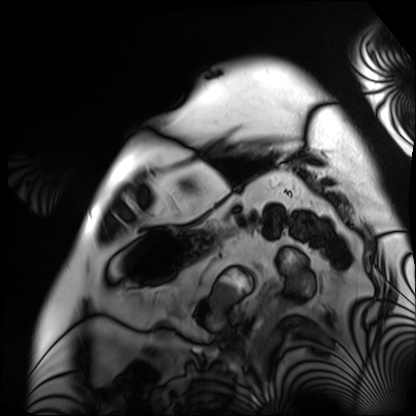
Cardiac MRI.
Subject group: patient.